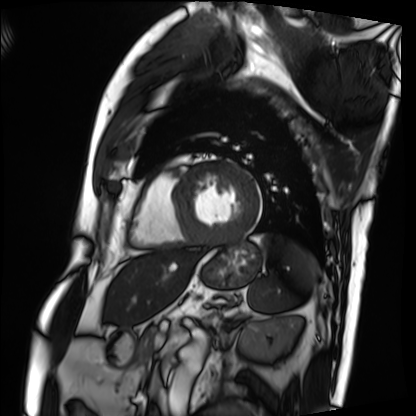
Cardiac MRI. Subject group: patient.